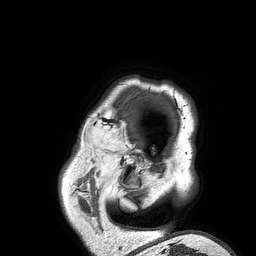
modality = 3 Tesla brain MRI; series = 3D T1-weighted turbo field echo; study = ring-enhancing brain masses.